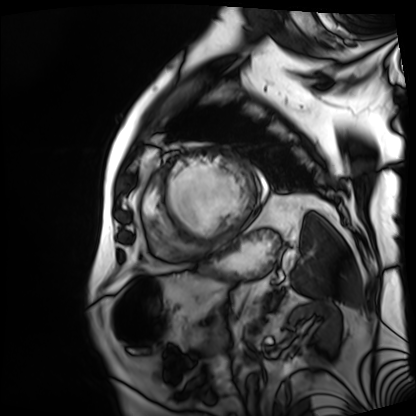
modality: cardiac MRI; subject group: patient.